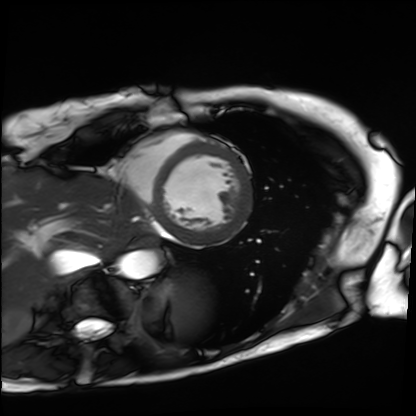
Cardiac MRI.
Subject group: patient.